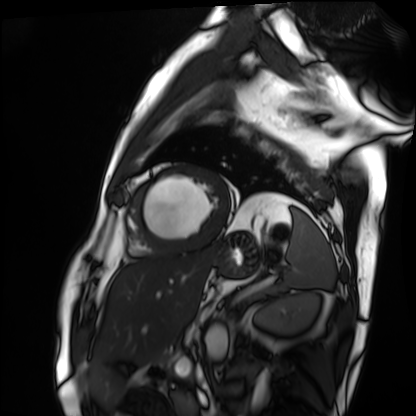
| field | value |
|---|---|
| modality | cardiac MRI |
| subject group | patient |